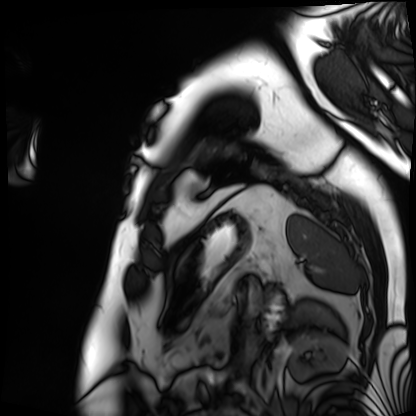
Case:
• modality · cardiac MRI
• subject group · patient